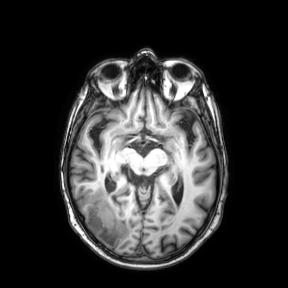
3 Tesla brain MRI. Series: axial. Study: ring-enhancing brain masses.